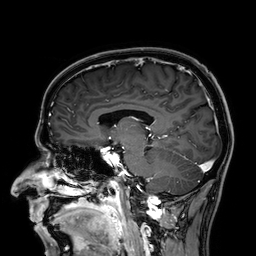
modality = 3 Tesla brain MRI
series = 3D T1-weighted
study = ring-enhancing brain masses